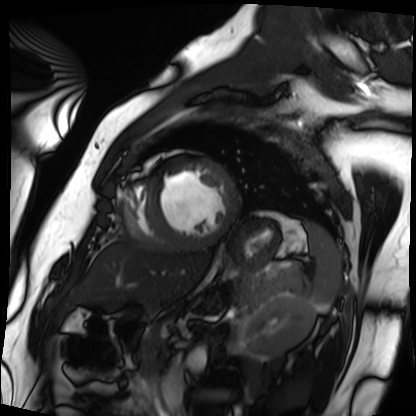
Summary:
Cardiac MRI. Subject group: patient.